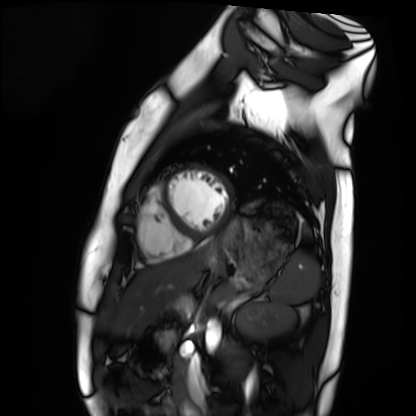
Case:
* modality — cardiac MRI
* subject group — healthy volunteer